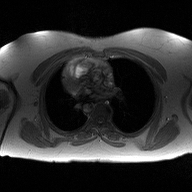
Q: What kind of scan is this?
A: 2D phase-contrast cine MRI of the ascending aorta.